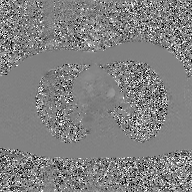
Clinical context: 2D phase-contrast cine MRI of the ascending aorta, GAN super-resolution reconstruction.